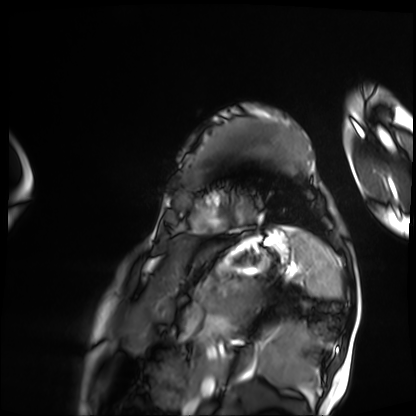
Case:
• modality: cardiac MRI
• subject group: patient